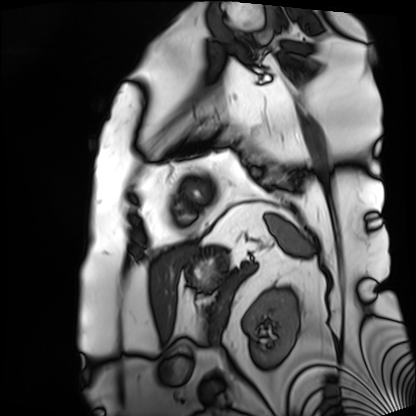
{
  "modality": "cardiac MRI",
  "cohort": "patient"
}